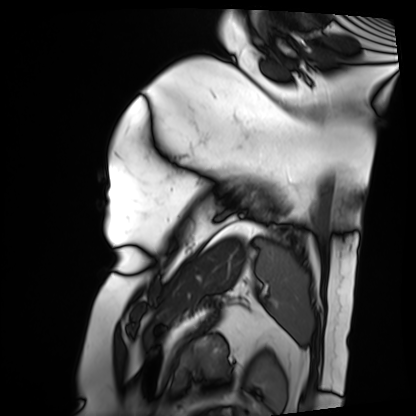
Summary: Cardiac MRI. Subject group: patient.